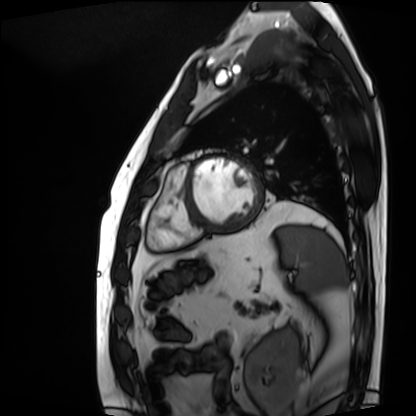
– modality — cardiac MRI
– subject group — patient